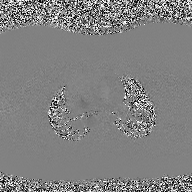
Q: What kind of scan is this?
A: 2D phase-contrast cine MRI of the ascending aorta.